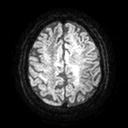
3 Tesla brain MRI.
Study: ring-enhancing brain masses.